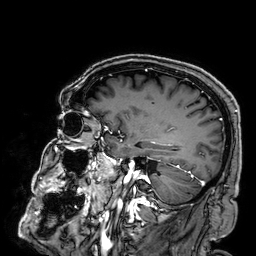
3 Tesla brain MRI.
Series: 3D T1-weighted.
Study: ring-enhancing brain masses.